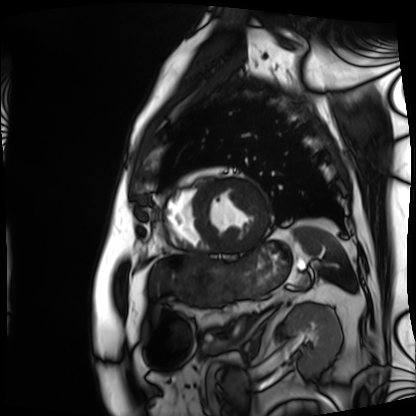
Case:
* modality · cardiac MRI
* subject group · patient